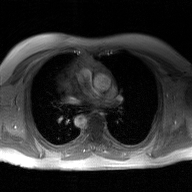
| field | value |
|---|---|
| modality | 2D phase-contrast cine MRI of the ascending aorta, GAN super-resolution reconstruction |